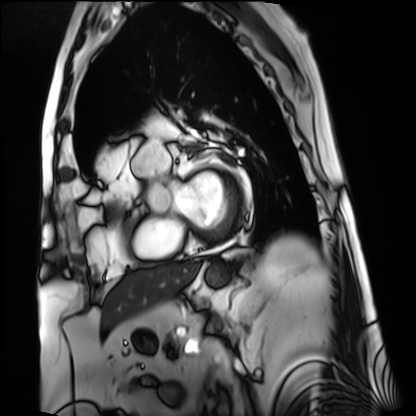
<study>
<modality>cardiac MRI</modality>
<cohort>patient</cohort>
</study>